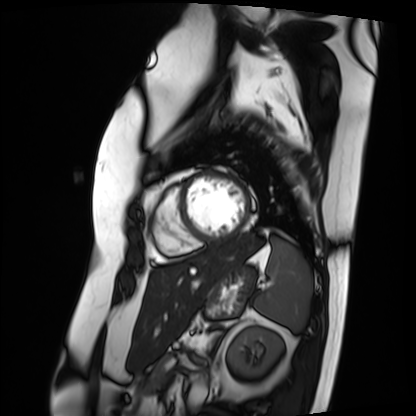
Case summary: Cardiac MRI. Subject group: patient.